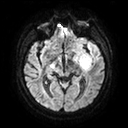
Summary: 3 Tesla brain MRI. Series: diffusion tensor imaging (medium iso). Study: ring-enhancing brain masses.